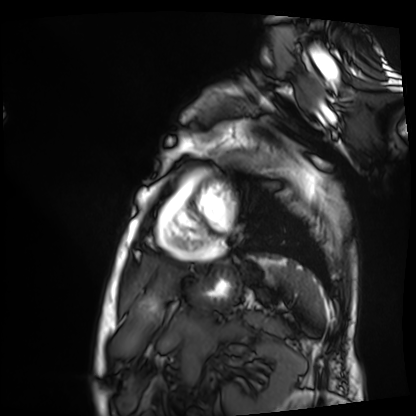
Q: What kind of scan is this?
A: Cardiac MRI.
Subject group: patient.